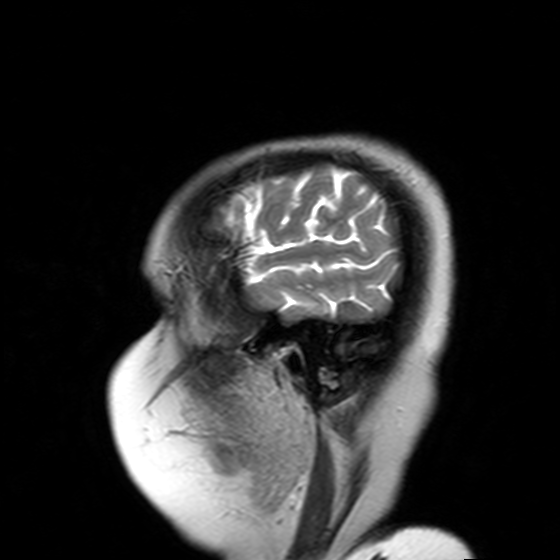
| field | value |
|---|---|
| modality | 3 Tesla brain MRI |
| series | T2-weighted turbo spin echo with SENSE |
| study | ring-enhancing brain masses |